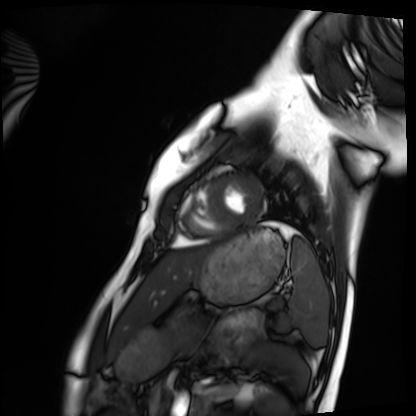
Case:
* modality: cardiac MRI
* subject group: healthy volunteer